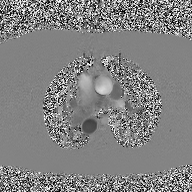
2D phase-contrast cine MRI of the ascending aorta, high-resolution GRAPPA acquisition.